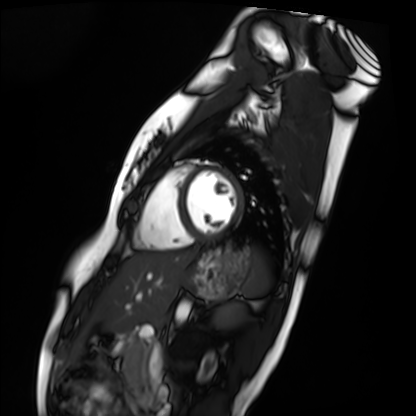
- modality · cardiac MRI
- subject group · healthy volunteer